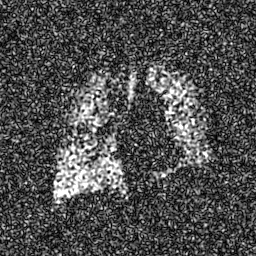
Hyperpolarized 129Xe ventilation MRI of the lungs. SNR level 8 of 8 (the deposit holds this scan as its native image and as seven SNR-degraded versions).